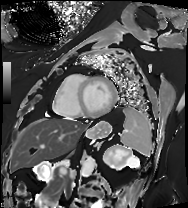
Q: What kind of scan is this?
A: Cardiac MRI.
Subject group: patient.